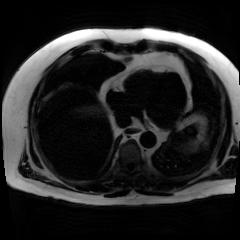
Case summary:
Chemical-shift-encoded cardiac MRI.